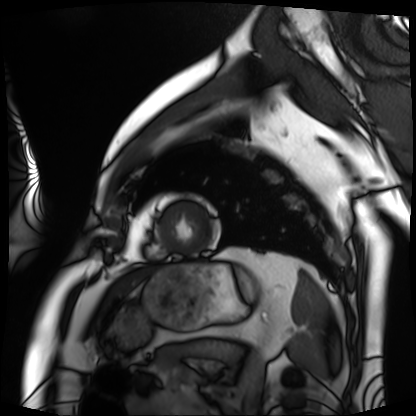
| field | value |
|---|---|
| modality | cardiac MRI |
| subject group | patient |